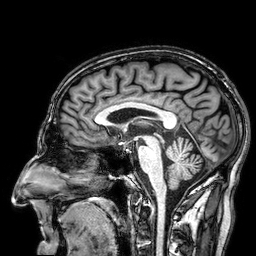
modality = 3 Tesla brain MRI | series = 3D T1-weighted | study = ring-enhancing brain masses.